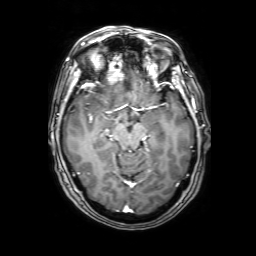
3 Tesla brain MRI.
Series: 3D T1-weighted with SENSE.
Study: ring-enhancing brain masses.